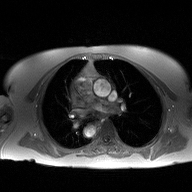
Q: What kind of scan is this?
A: 2D phase-contrast cine MRI of the ascending aorta.